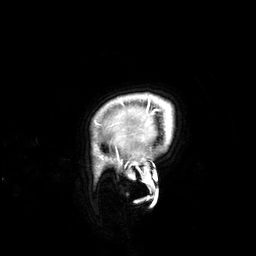
{
  "modality": {
    "type": "brain MRI",
    "field_strength": "3T"
  },
  "series": "3D T1-weighted",
  "study_topic": "ring-enhancing brain masses"
}